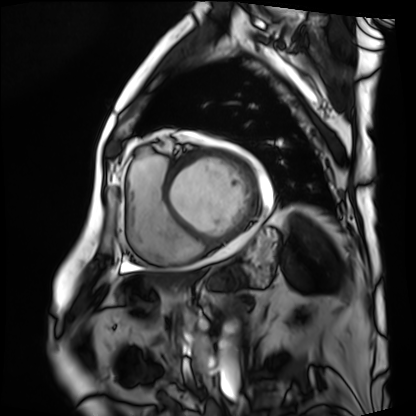
Clinical context: Cardiac MRI. Subject group: patient.